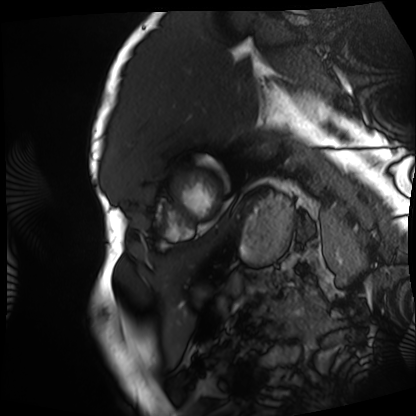
Cardiac MRI. Subject group: patient.